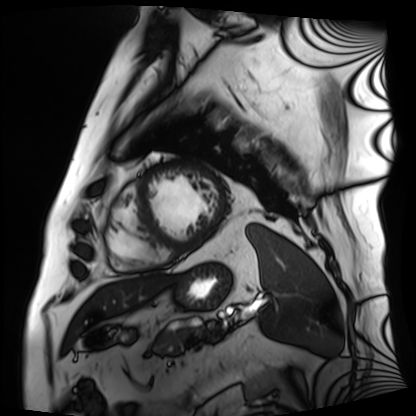
Q: What kind of scan is this?
A: Cardiac MRI.
Subject group: patient.